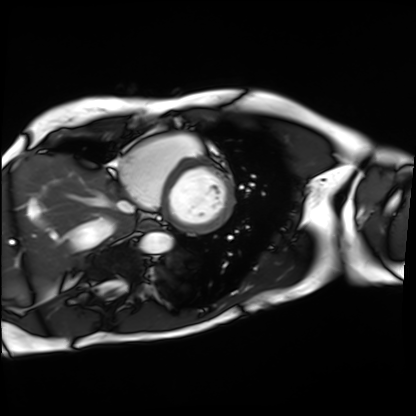
Cardiac MRI. Subject group: patient.